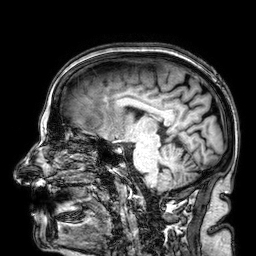
* modality: 3 Tesla brain MRI
* series: 3D T1-weighted
* study: ring-enhancing brain masses